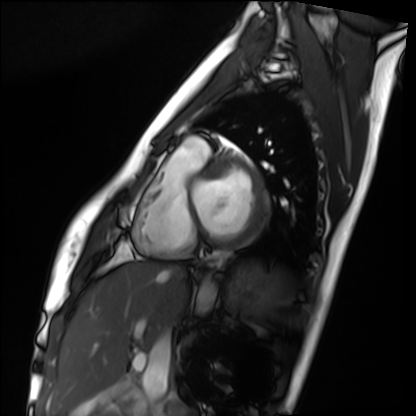
modality: cardiac MRI
cohort: healthy volunteer